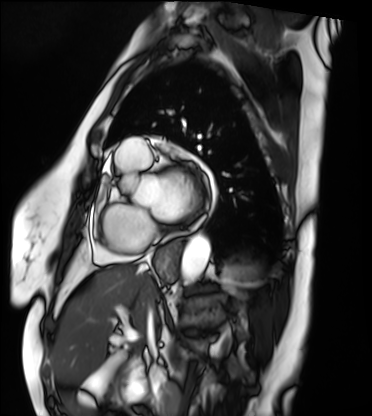
Cardiac MRI. Subject group: patient.